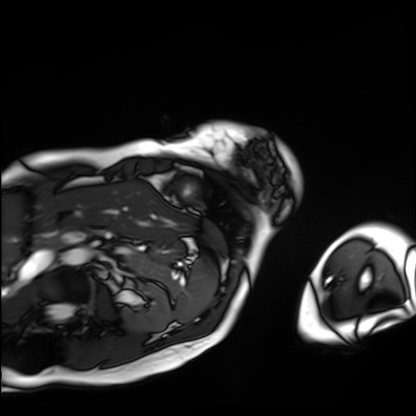
Q: What kind of scan is this?
A: Cardiac MRI.
Subject group: patient.